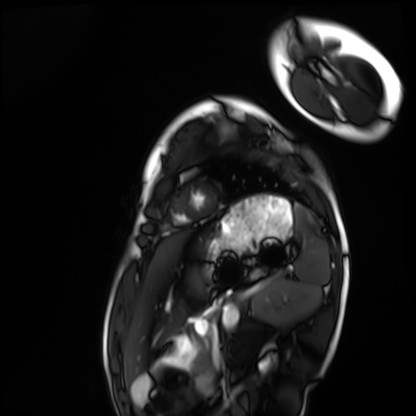
modality = cardiac MRI, subject group = healthy volunteer.